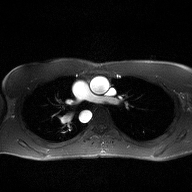
Clinical context: 2D phase-contrast cine MRI of the ascending aorta, high-resolution GRAPPA acquisition.